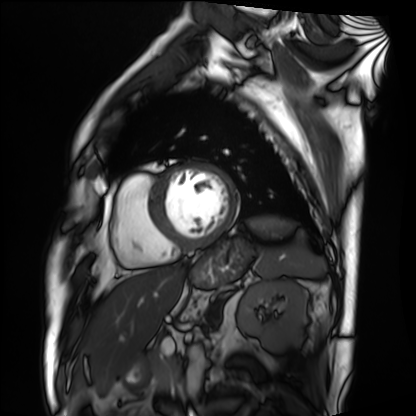
Summary:
Cardiac MRI. Subject group: patient.